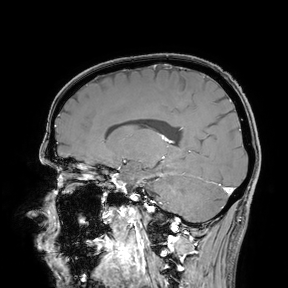
| field | value |
|---|---|
| modality | 3 Tesla brain MRI |
| study | ring-enhancing brain masses |